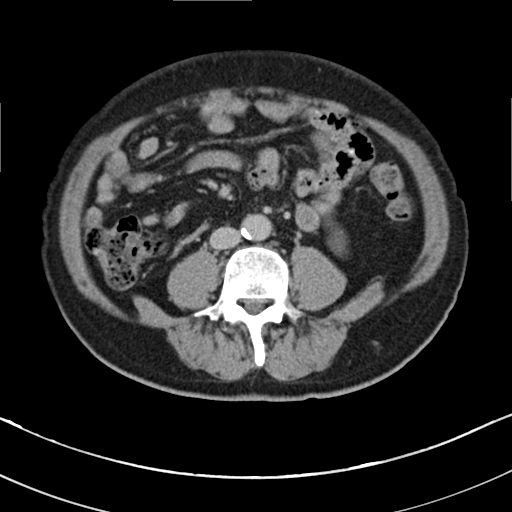
Multiphase abdominal CT, liver, delayed phase. Patient: male, age 67. History: viral hepatitis, prior chemotherapy.